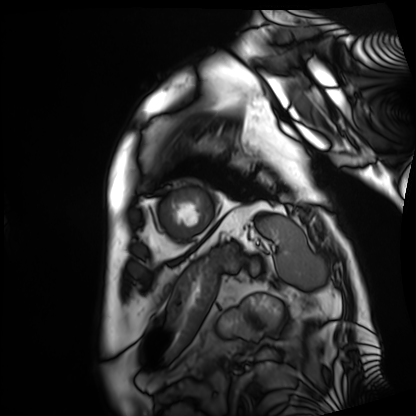
– modality: cardiac MRI
– subject group: patient